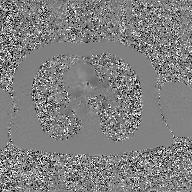
{"modality": {"type": "2D phase-contrast cine MRI", "region": "ascending aorta", "reconstruction": "GAN super-resolution reconstruction"}}